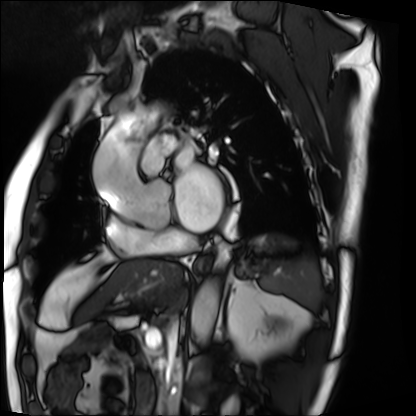
Cardiac MRI.
Subject group: patient.